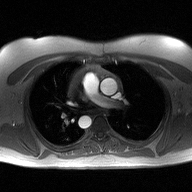
2D phase-contrast cine MRI of the ascending aorta, high-resolution GRAPPA acquisition.